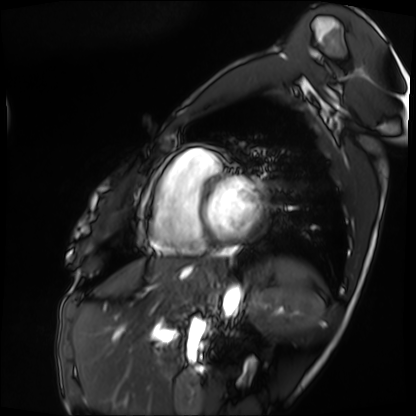
Cardiac MRI.
Subject group: patient.